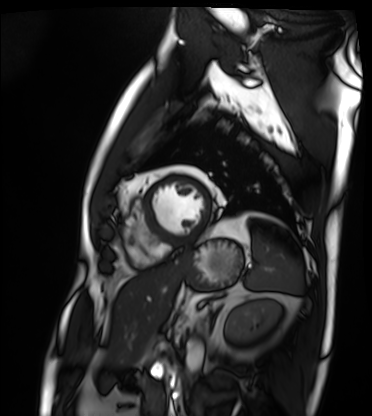
| field | value |
|---|---|
| modality | cardiac MRI |
| subject group | patient |